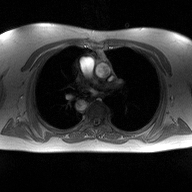
Case:
* modality: 2D phase-contrast cine MRI of the ascending aorta